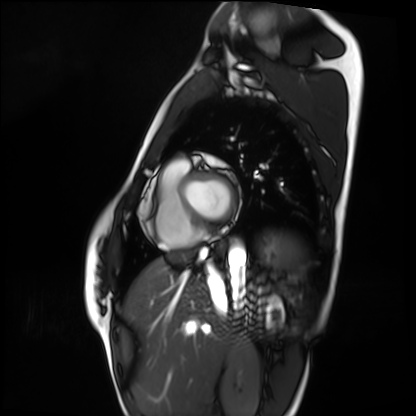
| field | value |
|---|---|
| modality | cardiac MRI |
| subject group | healthy volunteer |